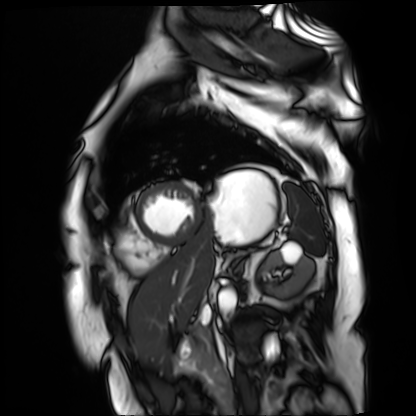
modality = cardiac MR image of the myocardium, subject cohort = cardiac patient.